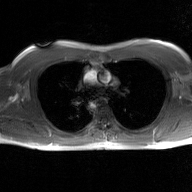
<case>
<modality>
  <type>2D phase-contrast cine MRI</type>
  <region>ascending aorta</region>
  <reconstruction>GAN super-resolution reconstruction</reconstruction>
</modality>
</case>